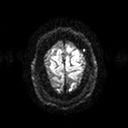
3 Tesla brain MRI.
Series: diffusion tensor imaging (medium iso).
Study: ring-enhancing brain masses.